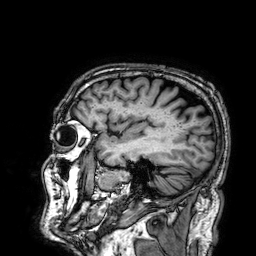
Q: What kind of scan is this?
A: 3 Tesla brain MRI.
Q: Series?
A: 3D T1-weighted.
Study: ring-enhancing brain masses.